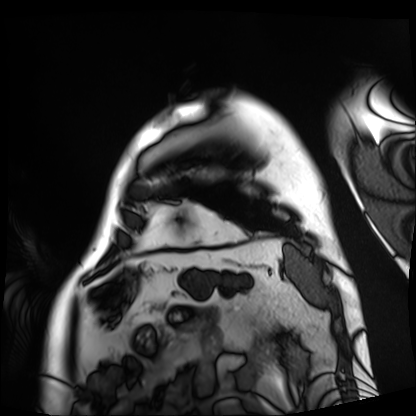
Q: What kind of scan is this?
A: Cardiac MRI.
Subject group: patient.